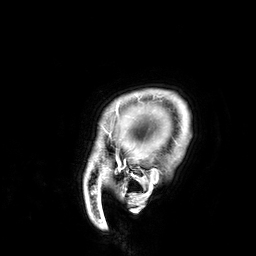
3 Tesla brain MRI.
Series: 3D T1-weighted.
Study: ring-enhancing brain masses.